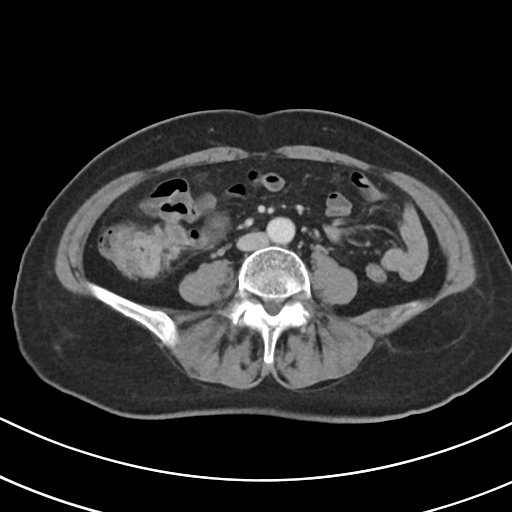
modality:
  type: multiphase abdominal CT
  region: liver
  phase: portal venous
patient:
  sex: female
  age: 69
history:
  - viral hepatitis